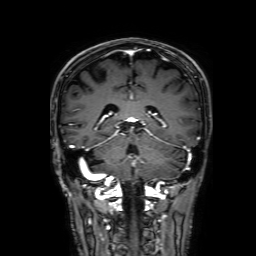
<study>
  <modality>
    <type>brain MRI</type>
    <field_strength>3T</field_strength>
  </modality>
  <series>3D T1-weighted with SENSE</series>
  <study_topic>ring-enhancing brain masses</study_topic>
</study>